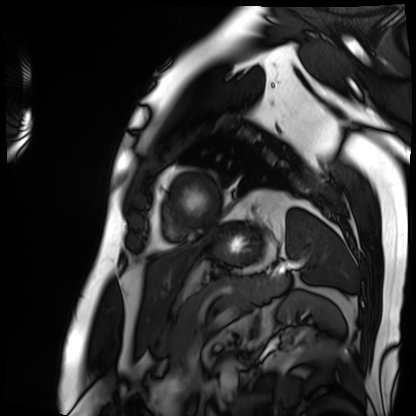
modality: cardiac MRI | subject group: patient.